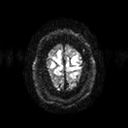
3 Tesla brain MRI. Series: diffusion tensor imaging (medium iso). Study: ring-enhancing brain masses.